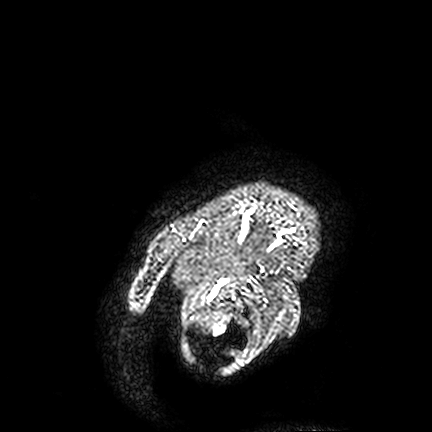
3 Tesla brain MRI.
Series: FLAIR VISTA.
Study: ring-enhancing brain masses.